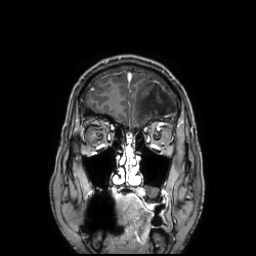
Case summary:
3 Tesla brain MRI. Series: 3D T1-weighted TFE with SENSE. Study: ring-enhancing brain masses.